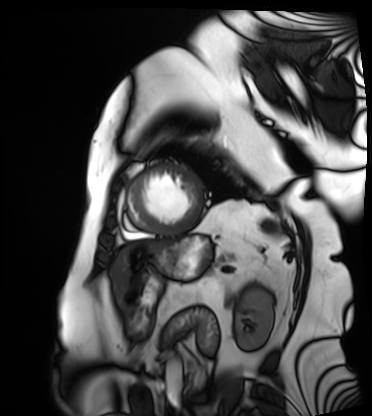
Q: What kind of scan is this?
A: Cardiac MRI.
Subject group: patient.